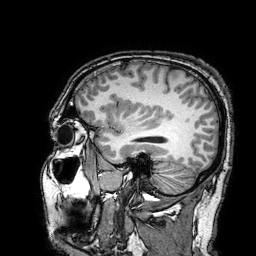
Q: What kind of scan is this?
A: 3 Tesla brain MRI.
Q: Series?
A: 3D T1-weighted turbo field echo with SENSE.
Study: ring-enhancing brain masses.